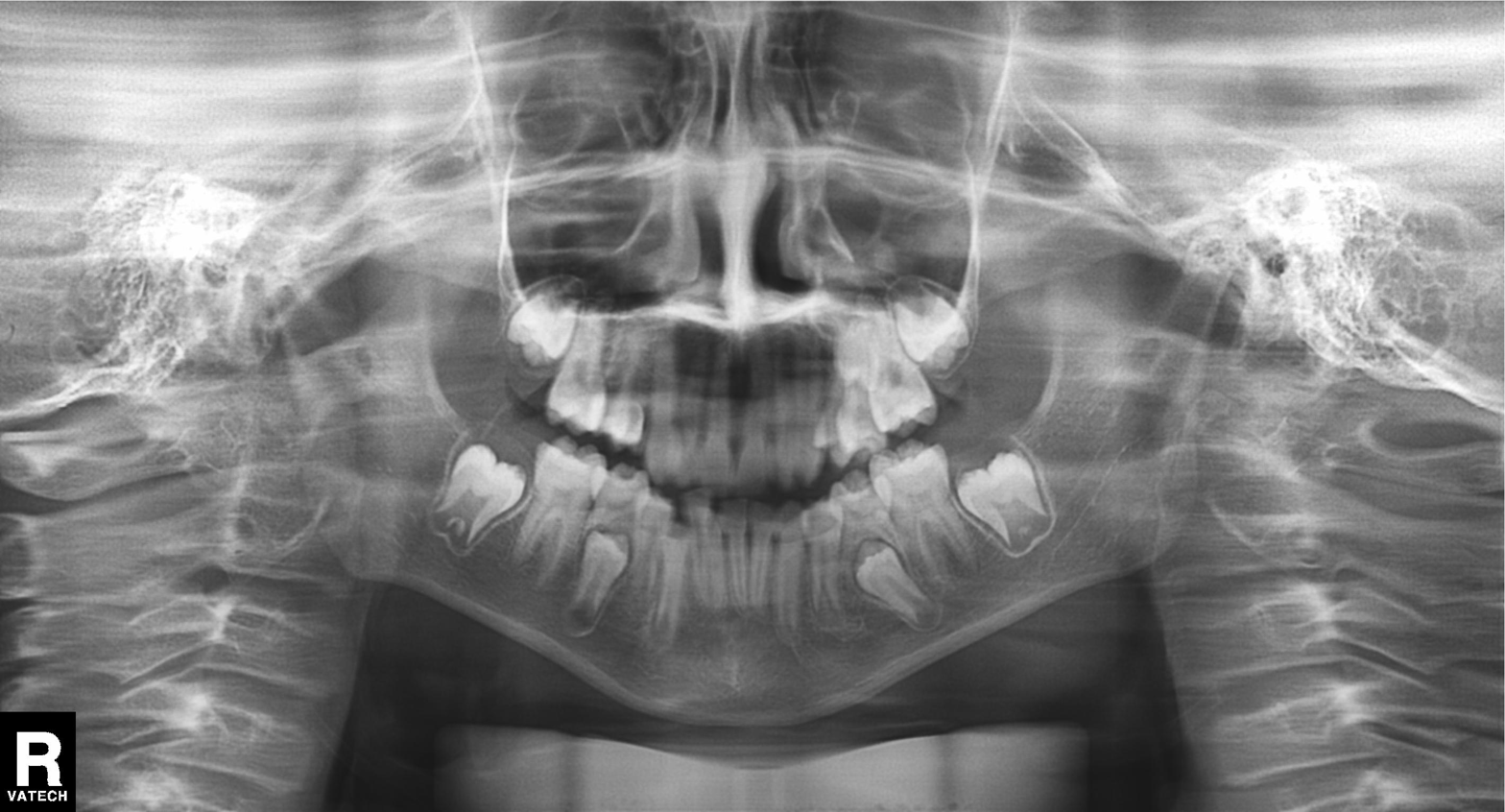
  modality: panoramic dental radiograph (orthopantomogram)
  finding: alveolar bone loss